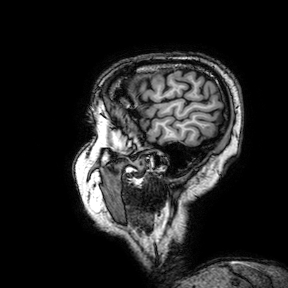
3 Tesla brain MRI.
Series: 3D T1-weighted turbo field echo with SENSE.
Study: ring-enhancing brain masses.